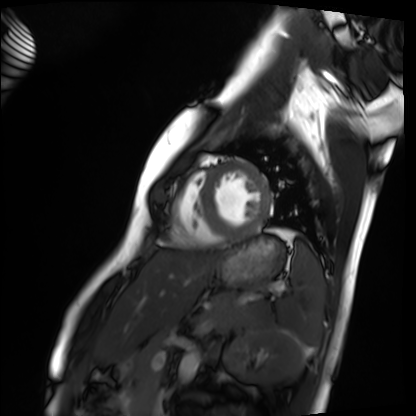
Summary:
Cardiac MRI. Subject group: healthy volunteer.